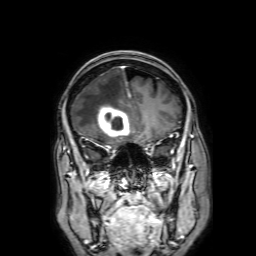
3 Tesla brain MRI.
Series: 3D T1-weighted with SENSE.
Study: ring-enhancing brain masses.